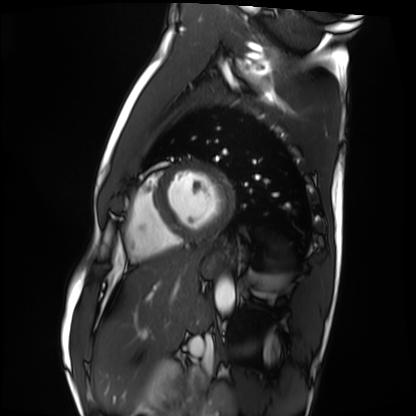
Q: What kind of scan is this?
A: Cardiac MRI.
Subject group: healthy volunteer.